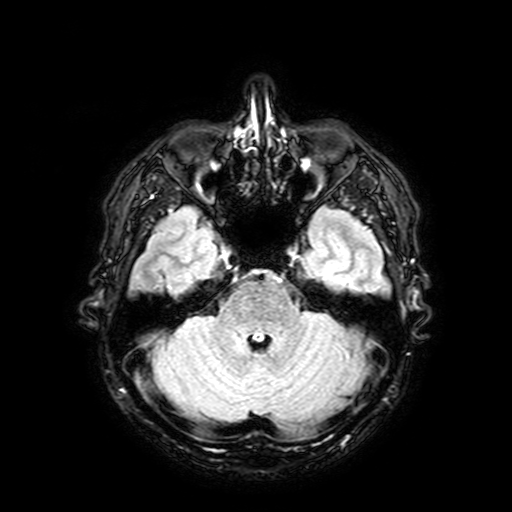
{
  "modality": {
    "type": "brain MRI",
    "field_strength": "3T"
  },
  "series": "FLAIR with SPAIR, 3 mm",
  "study_topic": "ring-enhancing brain masses"
}